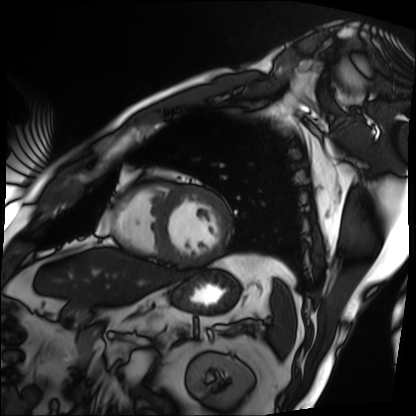
Summary:
Cardiac MRI. Subject group: patient.